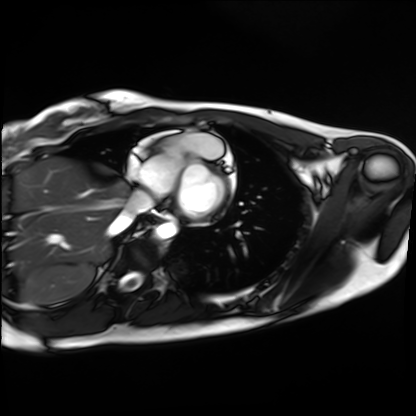
Summary: Cardiac MRI. Subject group: healthy volunteer.